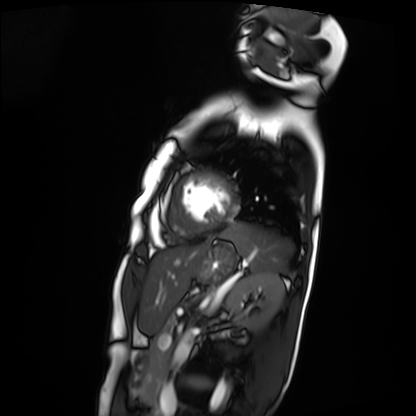
modality: cardiac MRI
subject group: patient